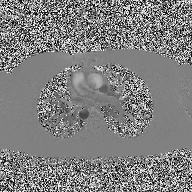
2D phase-contrast cine MRI of the ascending aorta, high-resolution GRAPPA acquisition.